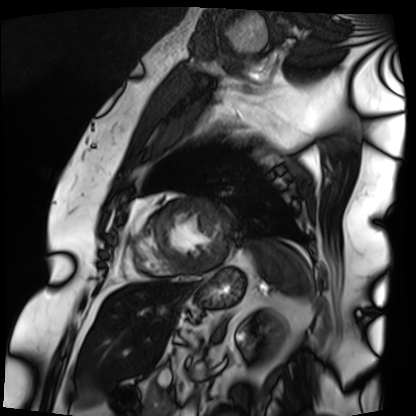
modality — cardiac MRI | subject group — patient.